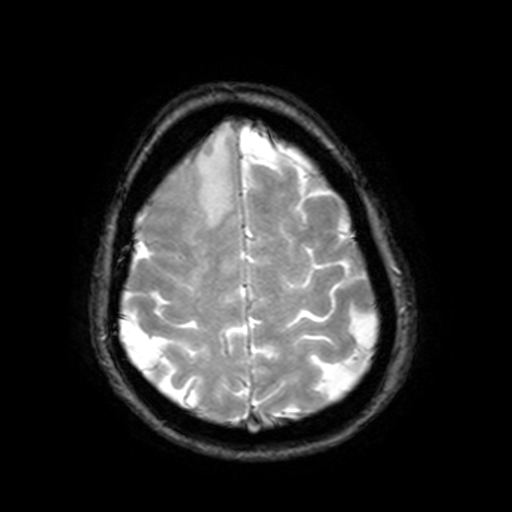
3 Tesla brain MRI. Series: T2-weighted fast field echo with SENSE. Study: ring-enhancing brain masses.